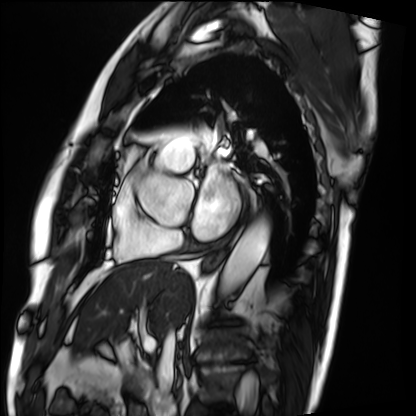
Q: What kind of scan is this?
A: Cardiac MRI.
Subject group: patient.